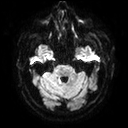
3 Tesla brain MRI.
Series: diffusion tensor imaging (medium iso).
Study: ring-enhancing brain masses.